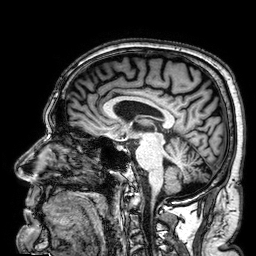
Case summary:
3 Tesla brain MRI. Series: 3D T1-weighted. Study: ring-enhancing brain masses.